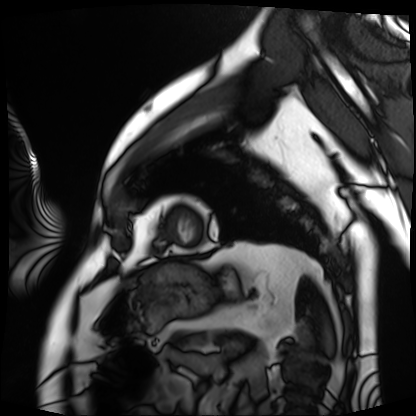
<case>
  <modality>cardiac MRI</modality>
  <cohort>patient</cohort>
</case>